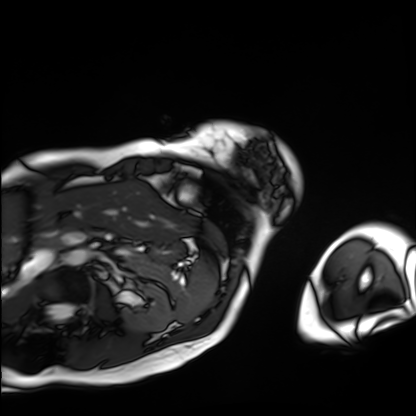
| field | value |
|---|---|
| modality | cardiac MRI |
| subject group | patient |